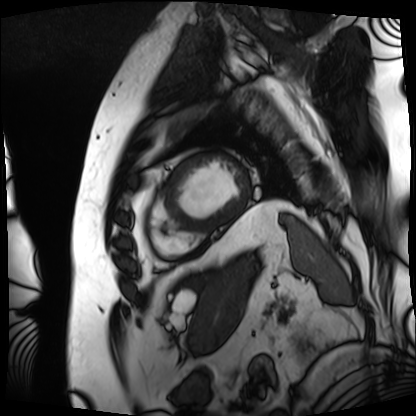
modality = cardiac MRI; subject group = patient.